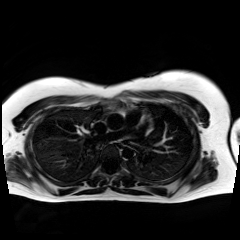
Summary:
Chemical-shift-encoded cardiac MRI.